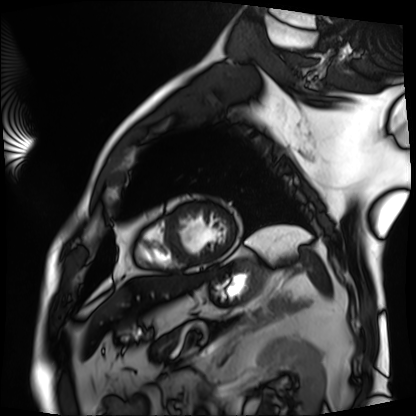
{"modality": "cardiac MRI", "cohort": "patient"}